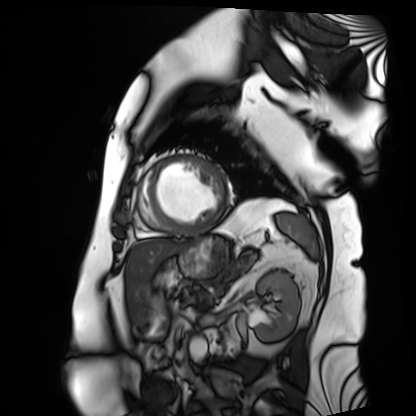
Cardiac MRI. Subject group: patient.